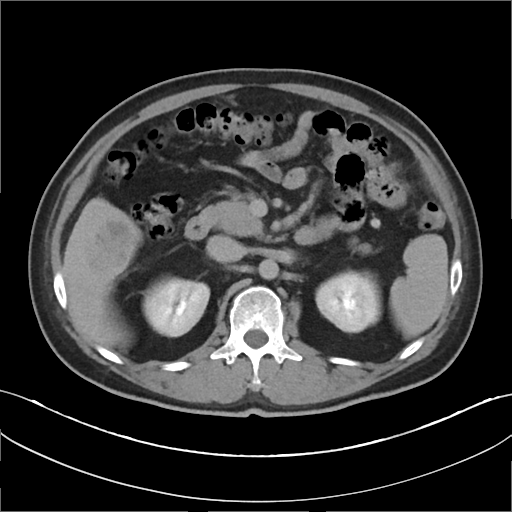
modality = multiphase abdominal CT, liver, delayed phase
patient = male, age 46
history = cirrhosis, viral hepatitis